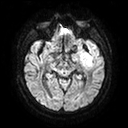
  modality:
    type: brain MRI
    field_strength: 3T
  study_topic: ring-enhancing brain masses